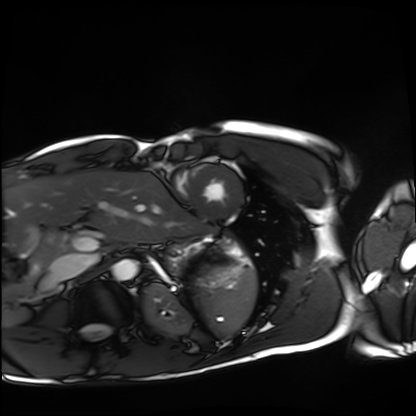
Summary:
Cardiac MRI. Subject group: healthy volunteer.